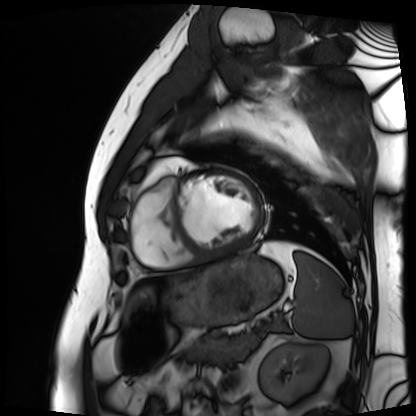
<scan>
<modality>cardiac MRI</modality>
<cohort>patient</cohort>
</scan>